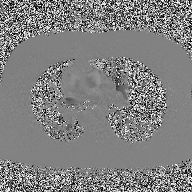
{"modality": {"type": "2D phase-contrast cine MRI", "region": "ascending aorta", "reconstruction": "high-resolution GRAPPA acquisition"}}